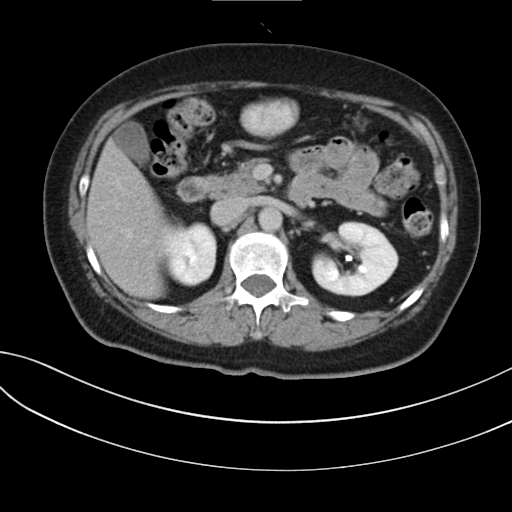
modality: multiphase abdominal CT, liver, delayed phase | patient: female, age 59.